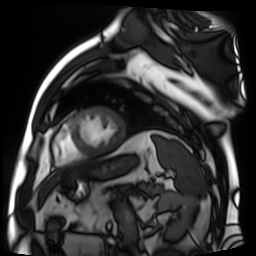
{
  "modality": "cardiac MR image of the myocardium",
  "cohort": "cardiac patient"
}